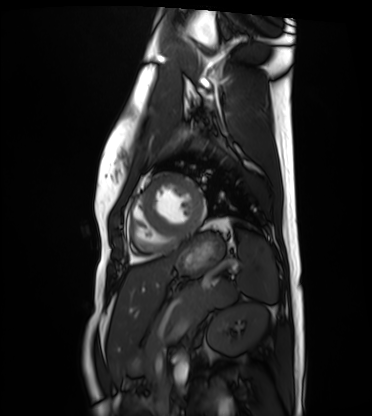
Clinical context:
Cardiac MRI. Subject group: healthy volunteer.